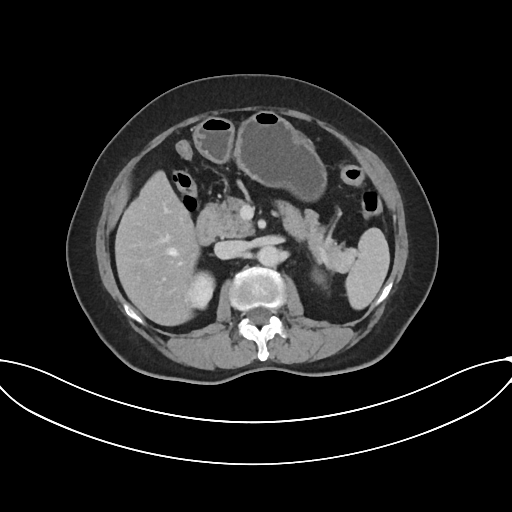
  modality:
    type: multiphase abdominal CT
    region: liver
    phase: portal venous
  patient:
    sex: female
    age: 62